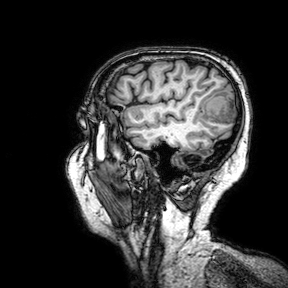
modality: 3 Tesla brain MRI; series: 3D T1-weighted turbo field echo with SENSE; study: ring-enhancing brain masses.